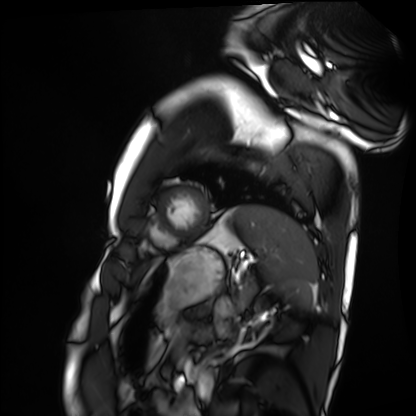
- modality: cardiac MRI
- subject group: healthy volunteer